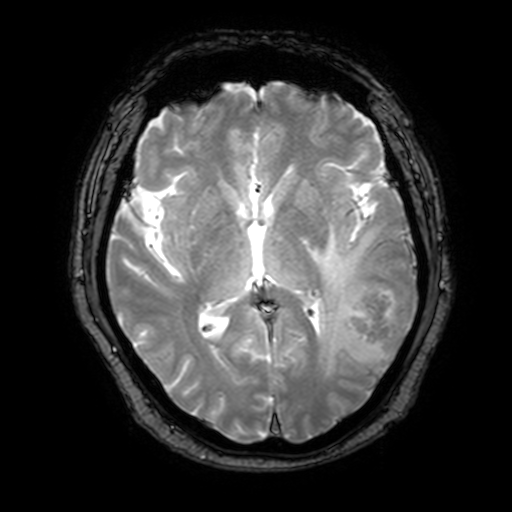
modality:
  type: brain MRI
  field_strength: 3T
series: T2-weighted fast field echo with SENSE
study_topic: ring-enhancing brain masses